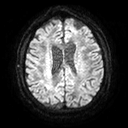
Summary:
3 Tesla brain MRI. Study: ring-enhancing brain masses.